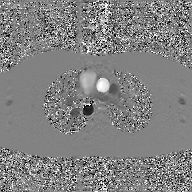
<scan>
  <modality>
    <type>2D phase-contrast cine MRI</type>
    <region>ascending aorta</region>
    <reconstruction>GAN super-resolution reconstruction</reconstruction>
  </modality>
</scan>